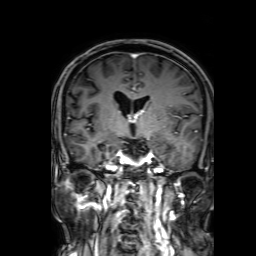
Case:
• modality: 3 Tesla brain MRI
• series: 3D T1-weighted with SENSE
• study: ring-enhancing brain masses